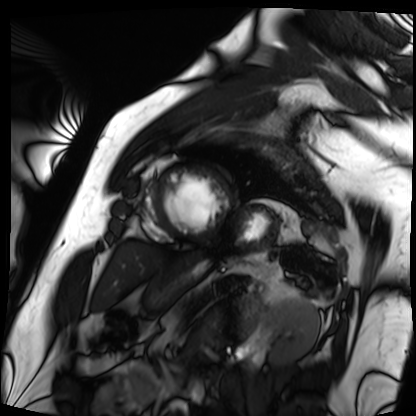
{
  "modality": "cardiac MRI",
  "cohort": "patient"
}